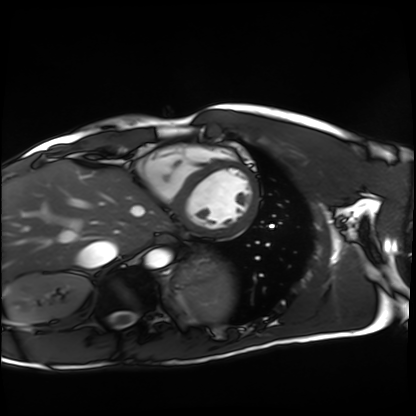
<record>
  <modality>cardiac MRI</modality>
  <cohort>healthy volunteer</cohort>
</record>